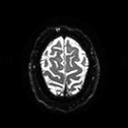
modality = 3 Tesla brain MRI | series = diffusion tensor imaging (medium iso) | study = ring-enhancing brain masses.